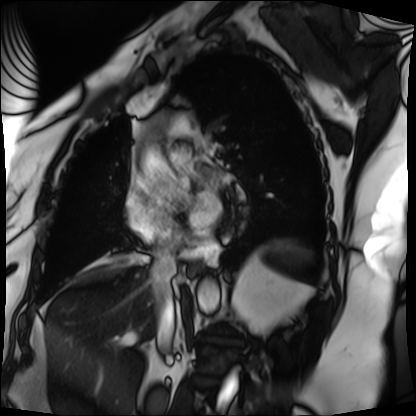
modality: cardiac MRI
subject group: patient